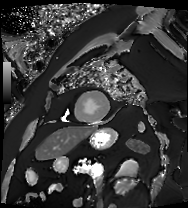
• modality · cardiac MRI
• subject group · patient